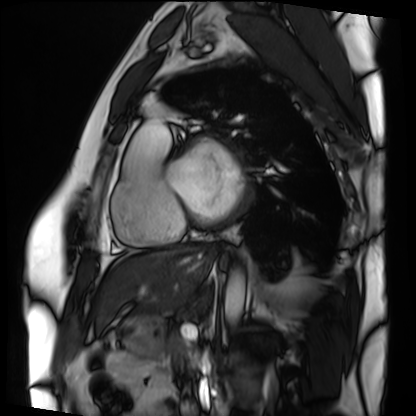
Cardiac MRI.
Subject group: patient.